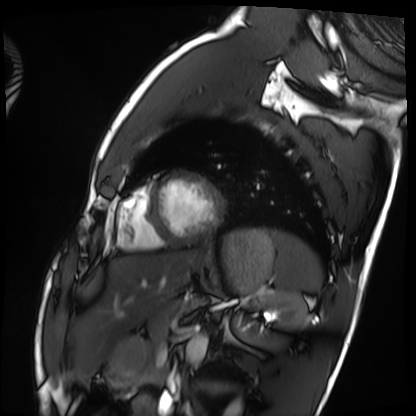
{
  "modality": "cardiac MRI",
  "cohort": "healthy volunteer"
}